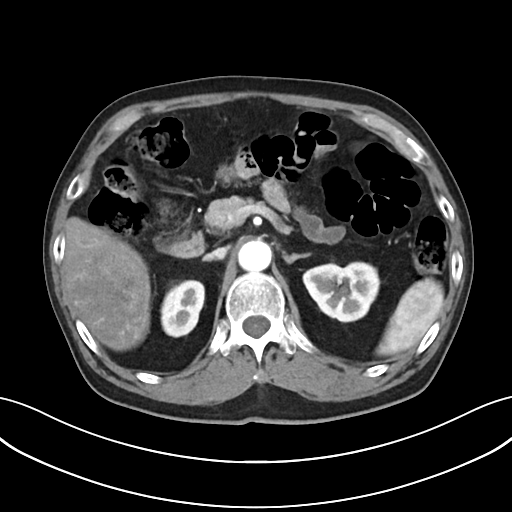
  modality:
    type: multiphase abdominal CT
    region: liver
    phase: arterial
  patient:
    sex: male
    age: 76